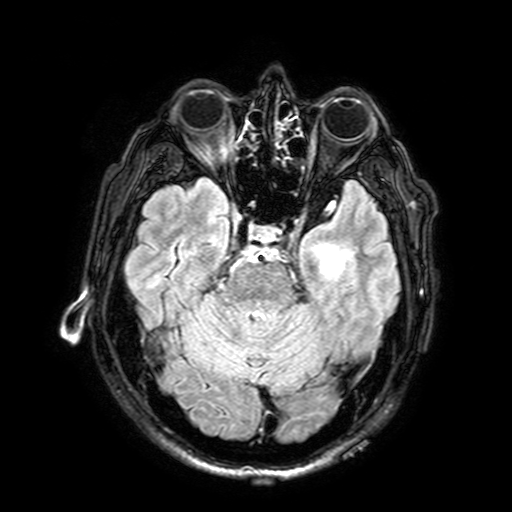
3 Tesla brain MRI. Series: FLAIR with SPAIR, 3 mm. Study: ring-enhancing brain masses.